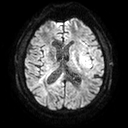
Case summary:
3 Tesla brain MRI. Series: diffusion tensor imaging (medium iso). Study: ring-enhancing brain masses.